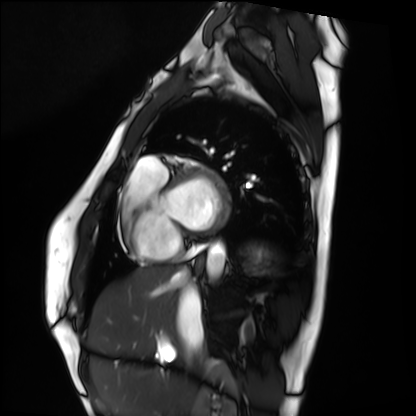
Summary:
Cardiac MRI. Subject group: healthy volunteer.